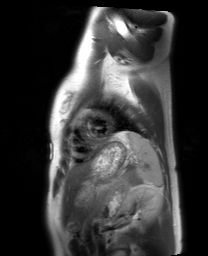
Q: What kind of scan is this?
A: Cardiac MRI.
Subject group: healthy volunteer.